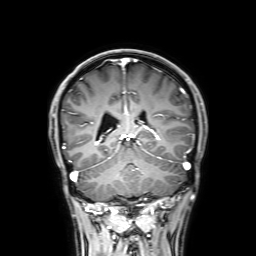
<case>
  <modality>
    <type>brain MRI</type>
    <field_strength>3T</field_strength>
  </modality>
  <series>3D T1-weighted with SENSE</series>
  <study_topic>ring-enhancing brain masses</study_topic>
</case>